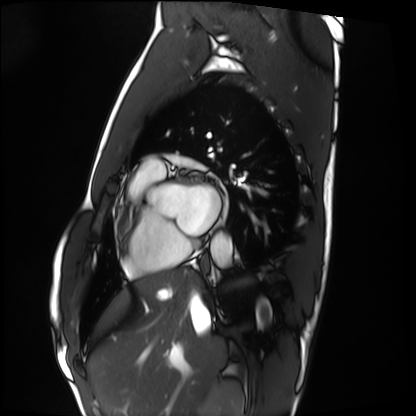
Cardiac MRI. Subject group: healthy volunteer.